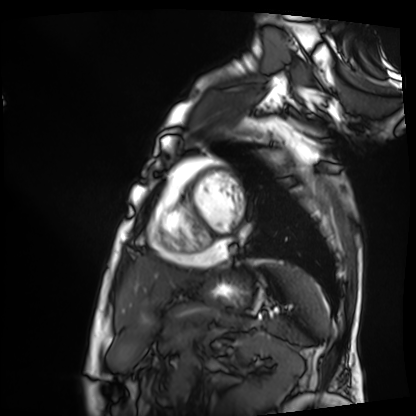
modality: cardiac MRI, subject group: patient.